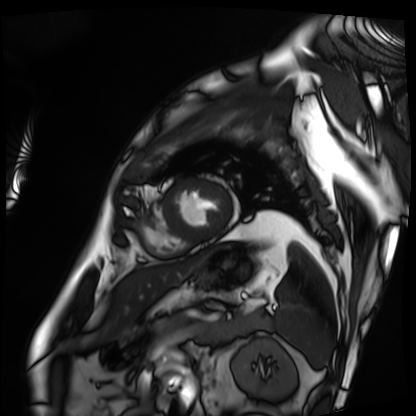
Cardiac MRI. Subject group: patient.